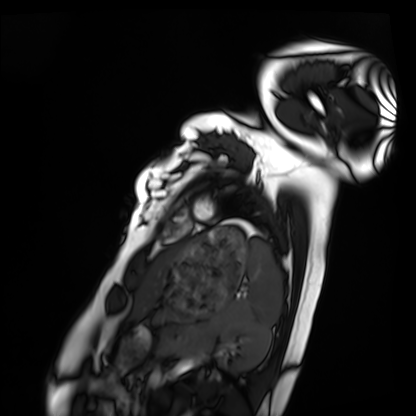
Clinical context: Cardiac MRI. Subject group: healthy volunteer.